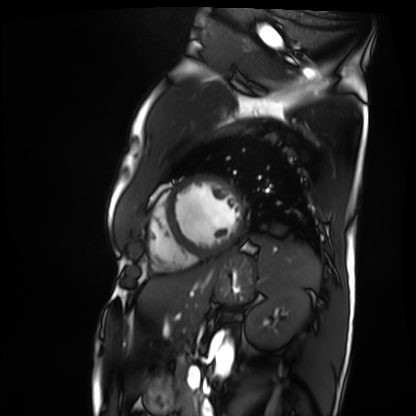
Cardiac MRI. Subject group: patient.